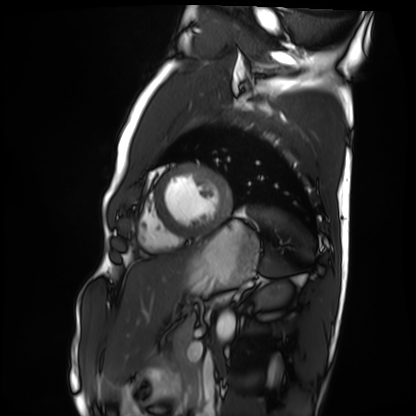
Cardiac MRI. Subject group: healthy volunteer.